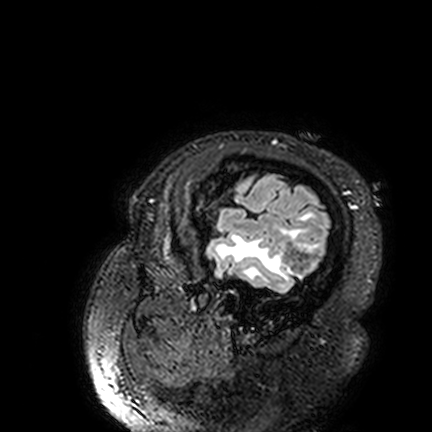
• modality · 3 Tesla brain MRI
• series · FLAIR VISTA
• study · ring-enhancing brain masses